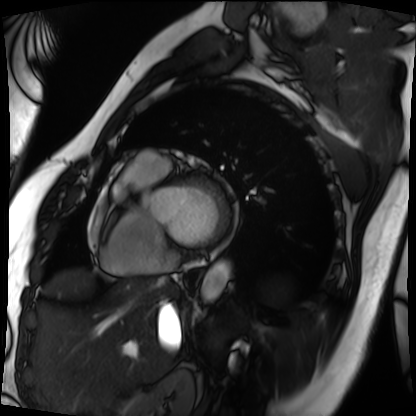
<study>
<modality>cardiac MRI</modality>
<cohort>patient</cohort>
</study>